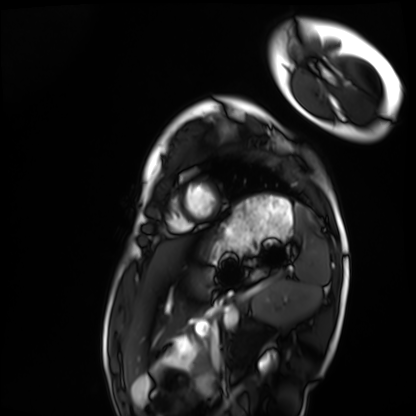
Clinical context:
Cardiac MRI. Subject group: healthy volunteer.